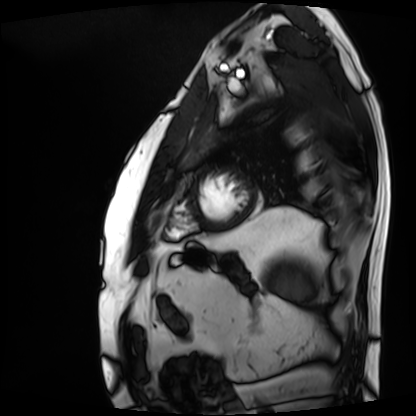
{"modality": "cardiac MRI", "cohort": "patient"}